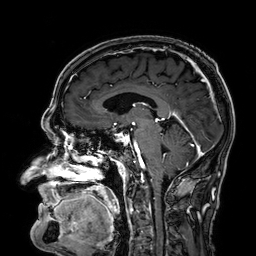
3 Tesla brain MRI. Series: 3D T1-weighted. Study: ring-enhancing brain masses.